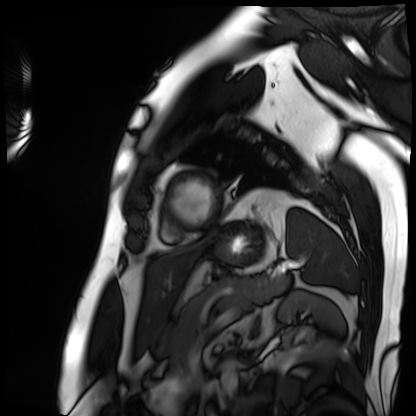
* modality · cardiac MRI
* subject group · patient